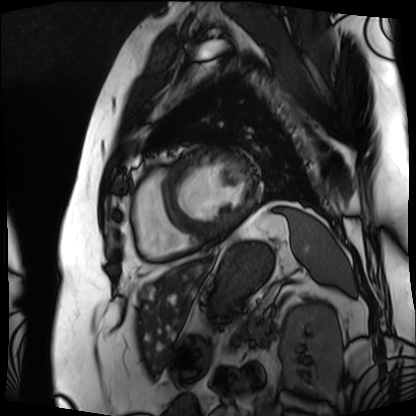
{
  "modality": "cardiac MRI",
  "cohort": "patient"
}